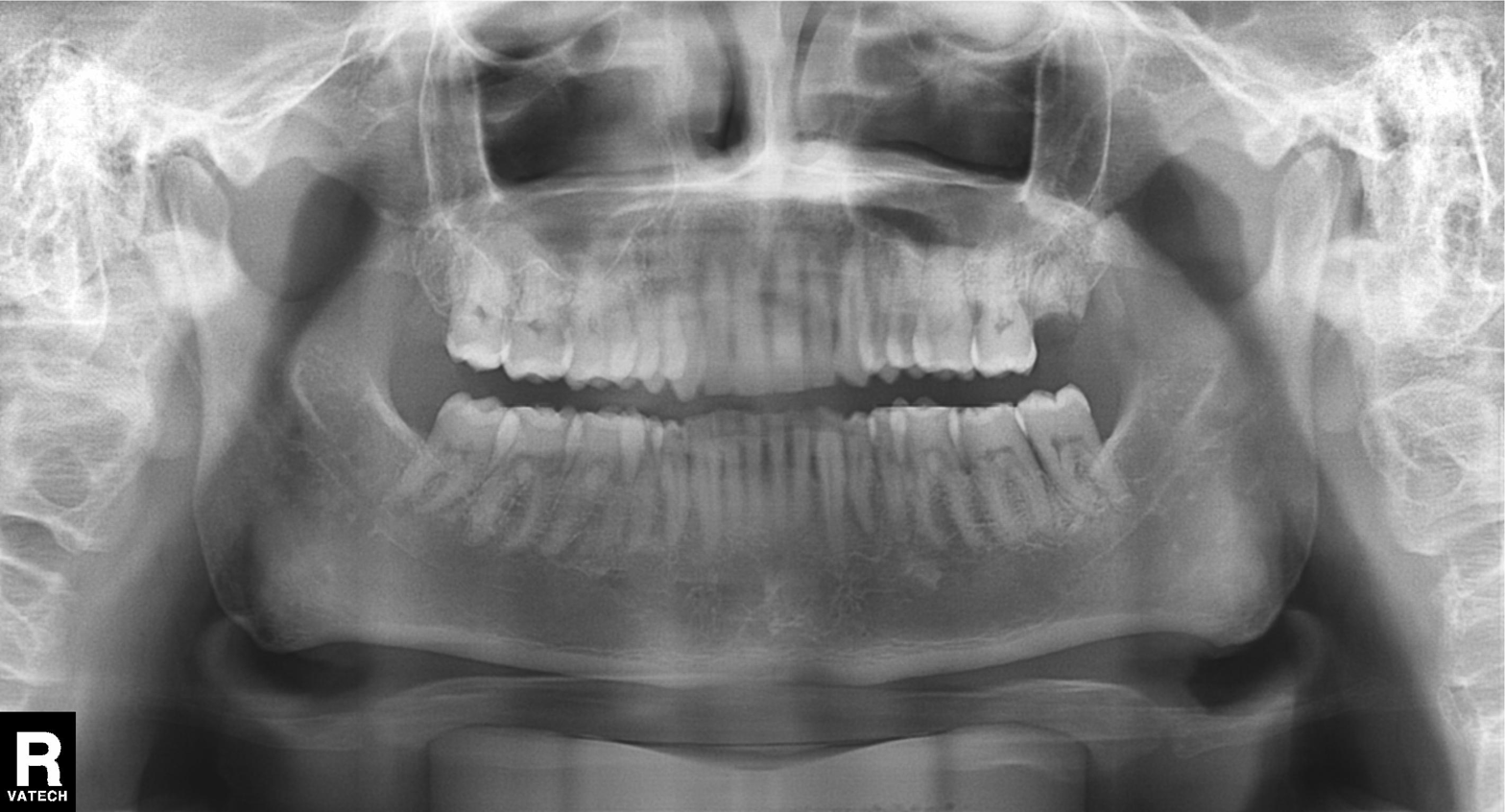
Panoramic dental radiograph (orthopantomogram).
Finding: alveolar bone loss.